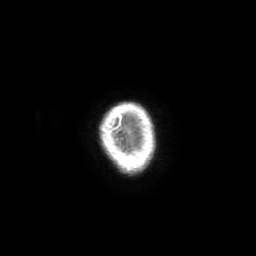
Case:
* modality: 3 Tesla brain MRI
* series: 3D T1-weighted with SENSE
* study: ring-enhancing brain masses